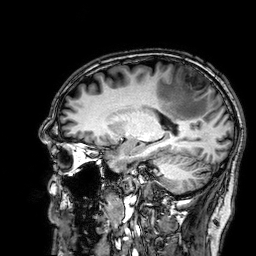
3 Tesla brain MRI. Series: 3D T1-weighted. Study: ring-enhancing brain masses.